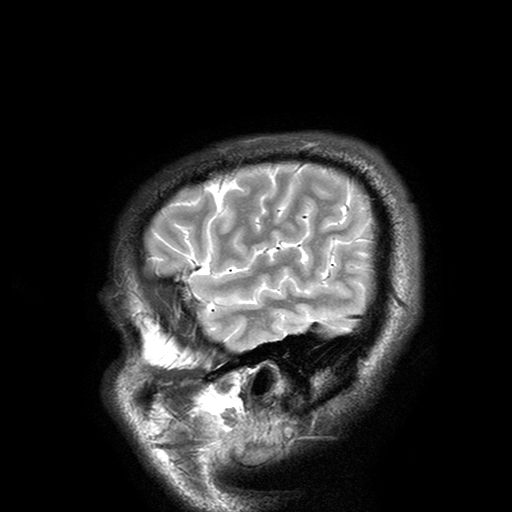
Summary: 3 Tesla brain MRI. Series: T2-weighted turbo spin echo with SENSE. Study: ring-enhancing brain masses.